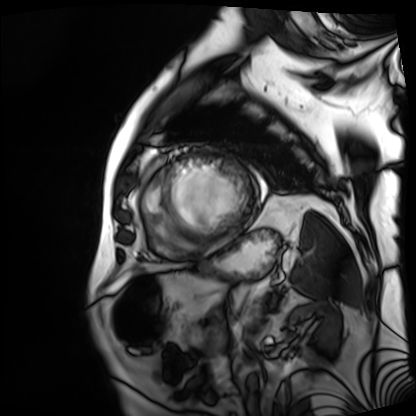
modality: cardiac MRI
cohort: patient